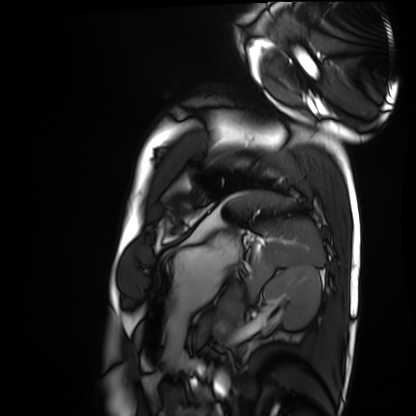
Cardiac MRI.
Subject group: healthy volunteer.